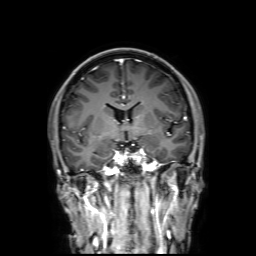
Q: What kind of scan is this?
A: 3 Tesla brain MRI.
Q: Series?
A: 3D T1-weighted with SENSE.
Study: ring-enhancing brain masses.